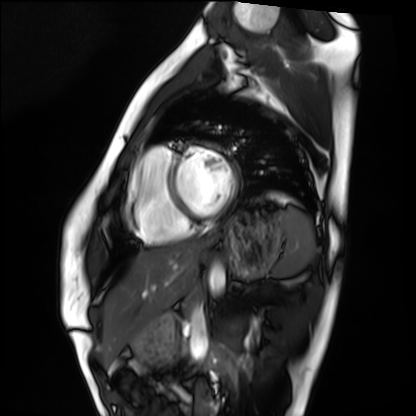
Summary: Cardiac MRI. Subject group: healthy volunteer.